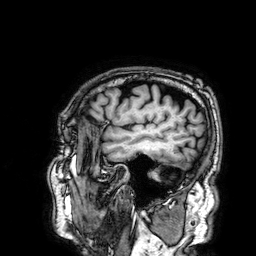
{"modality": {"type": "brain MRI", "field_strength": "3T"}, "series": "3D T1-weighted", "study_topic": "ring-enhancing brain masses"}